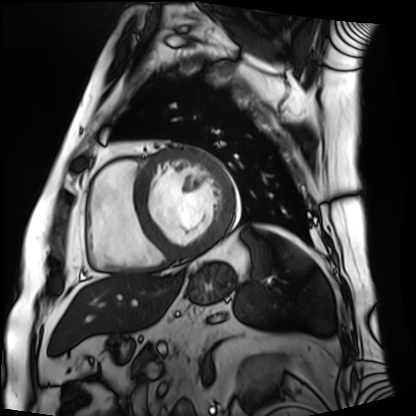
  modality: cardiac MRI
  cohort: patient